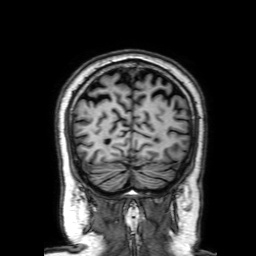
<record>
  <modality>
    <type>brain MRI</type>
    <field_strength>3T</field_strength>
  </modality>
  <series>3D T1-weighted with SENSE</series>
  <study_topic>ring-enhancing brain masses</study_topic>
</record>